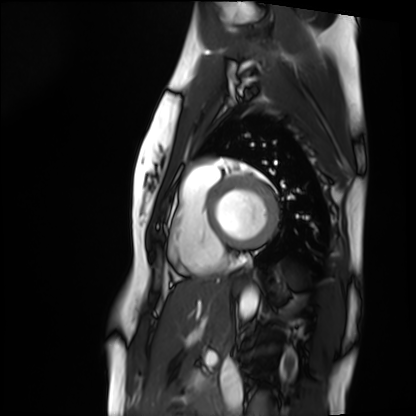
Cardiac MRI. Subject group: healthy volunteer.